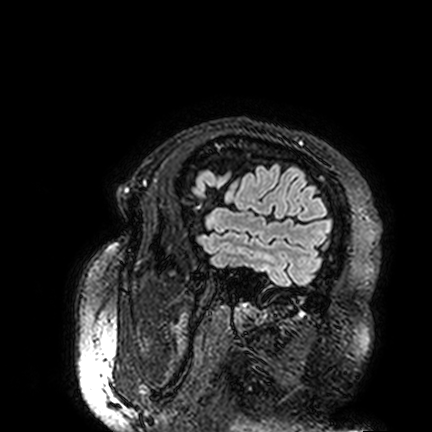
modality=3 Tesla brain MRI
series=FLAIR VISTA
study=ring-enhancing brain masses